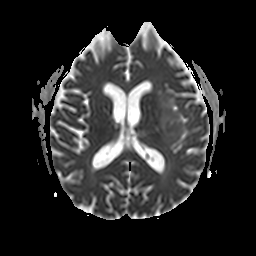
<record>
  <modality>
    <type>brain MRI</type>
    <field_strength>3T</field_strength>
  </modality>
  <series>apparent diffusion coefficient (ADC) map</series>
  <study_topic>ring-enhancing brain masses</study_topic>
</record>